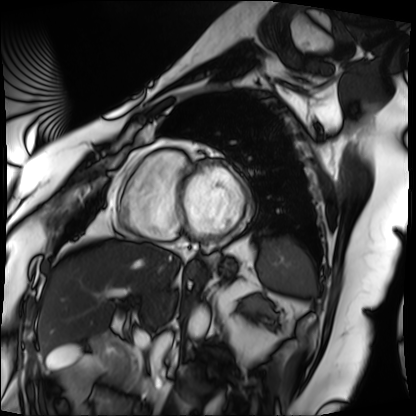
Cardiac MRI. Subject group: patient.